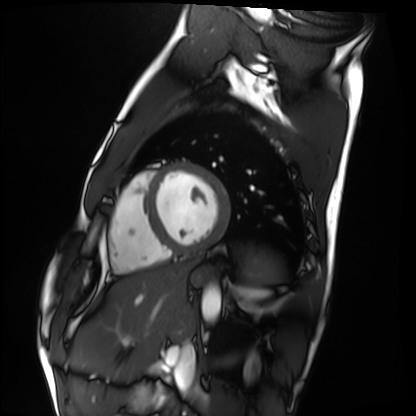
modality: cardiac MRI, subject group: healthy volunteer.